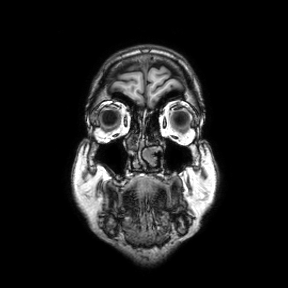
{"modality": {"type": "brain MRI", "field_strength": "3T"}, "series": "coronal", "study_topic": "ring-enhancing brain masses"}